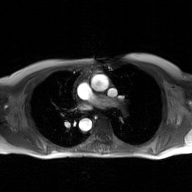
| field | value |
|---|---|
| modality | 2D phase-contrast cine MRI of the ascending aorta, GAN super-resolution reconstruction |